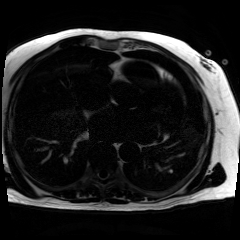
Clinical context: Chemical-shift-encoded cardiac MRI.